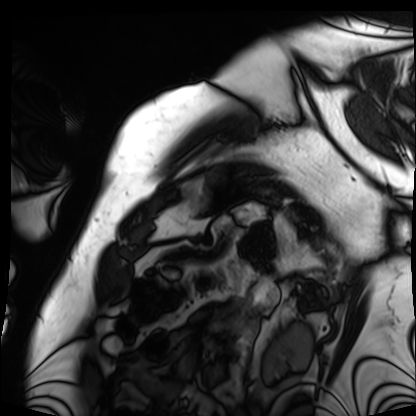
Cardiac MRI.
Subject group: patient.